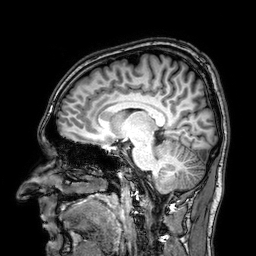
* modality — 3 Tesla brain MRI
* series — 3D T1-weighted
* study — ring-enhancing brain masses